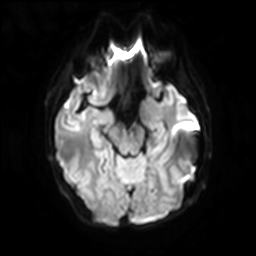
3 Tesla brain MRI. Study: ring-enhancing brain masses.